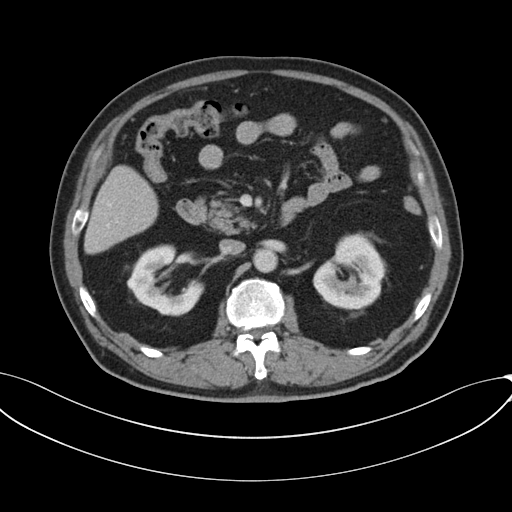
Clinical context: Multiphase abdominal CT, liver, portal venous phase. Patient: male, age 69.